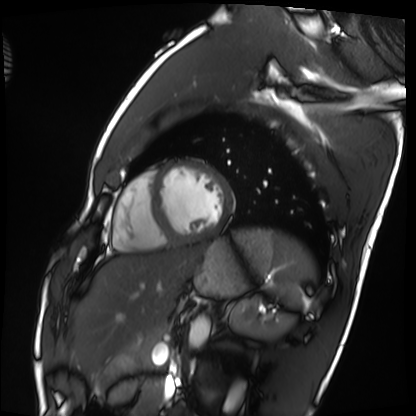
Cardiac MRI. Subject group: healthy volunteer.